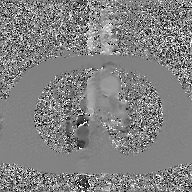
Q: What kind of scan is this?
A: 2D phase-contrast cine MRI of the ascending aorta, GAN super-resolution reconstruction.